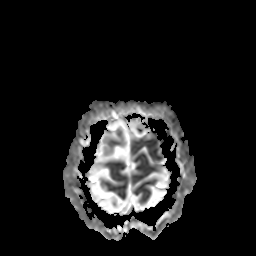
| field | value |
|---|---|
| modality | 3 Tesla brain MRI |
| series | apparent diffusion coefficient (ADC) map |
| study | ring-enhancing brain masses |